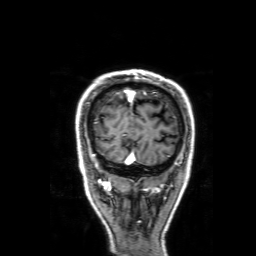
3 Tesla brain MRI. Series: 3D T1-weighted with SENSE. Study: ring-enhancing brain masses.